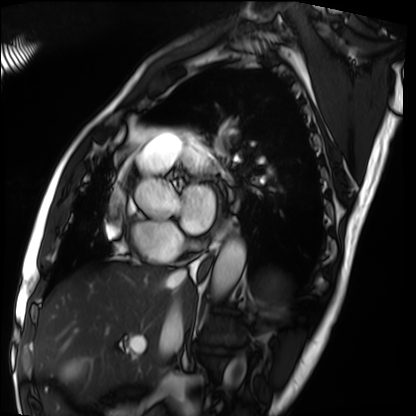
Cardiac MRI.
Subject group: patient.